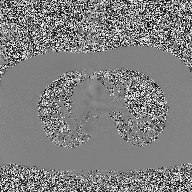
– modality: 2D phase-contrast cine MRI of the ascending aorta